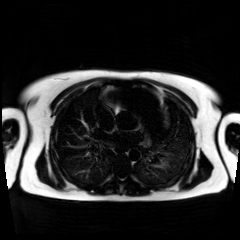
Chemical-shift-encoded cardiac MRI.